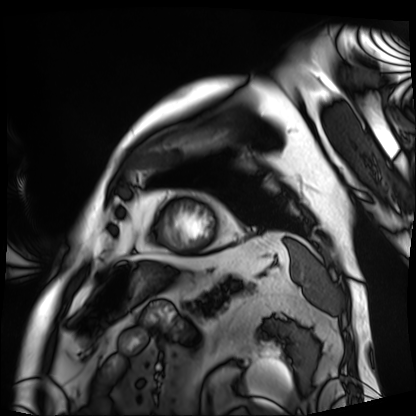
Cardiac MRI. Subject group: patient.